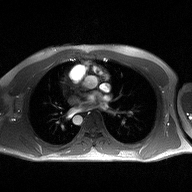
Q: What kind of scan is this?
A: 2D phase-contrast cine MRI of the ascending aorta.